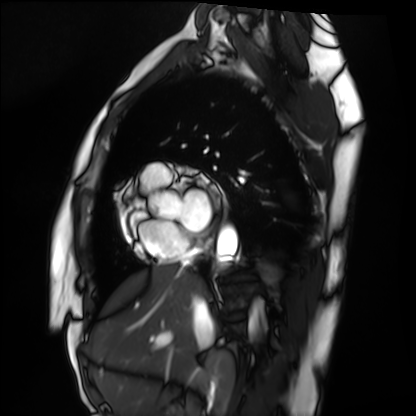
Summary: Cardiac MRI. Subject group: healthy volunteer.